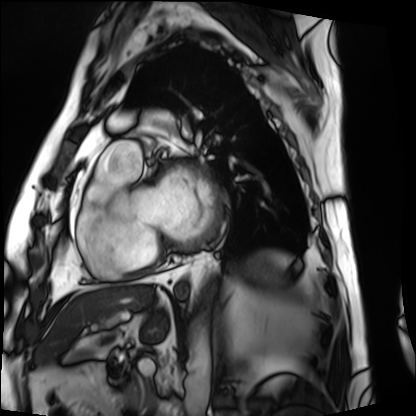
Summary:
Cardiac MRI. Subject group: patient.